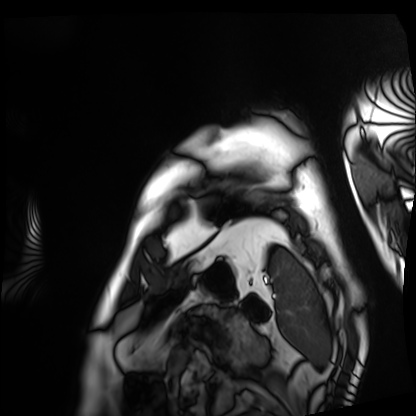
Cardiac MRI. Subject group: patient.